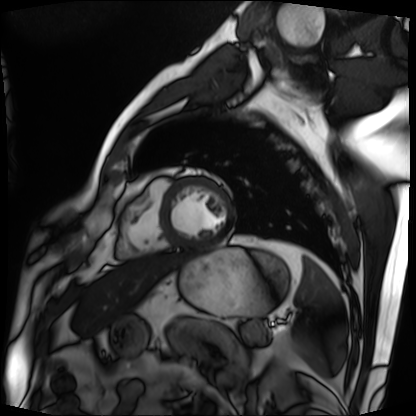
Cardiac MRI.
Subject group: patient.